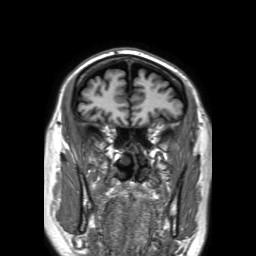
{"modality": {"type": "brain MRI", "field_strength": "3T"}, "series": "3D T1-weighted TFE with SENSE", "study_topic": "ring-enhancing brain masses"}